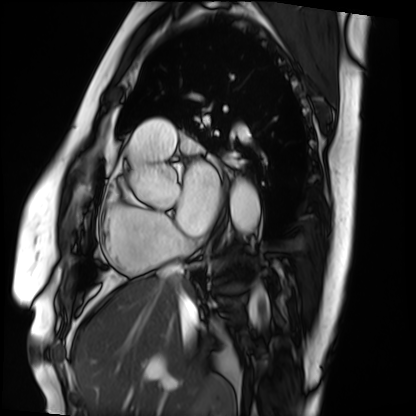
Summary: Cardiac MRI. Subject group: patient.